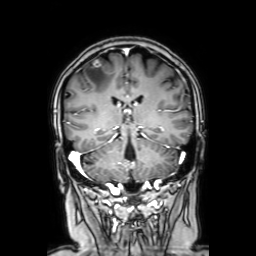
• modality: 3 Tesla brain MRI
• series: coronal with contrast
• study: ring-enhancing brain masses